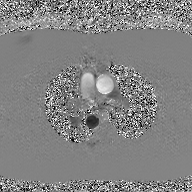
Summary:
2D phase-contrast cine MRI of the ascending aorta, GAN super-resolution reconstruction.